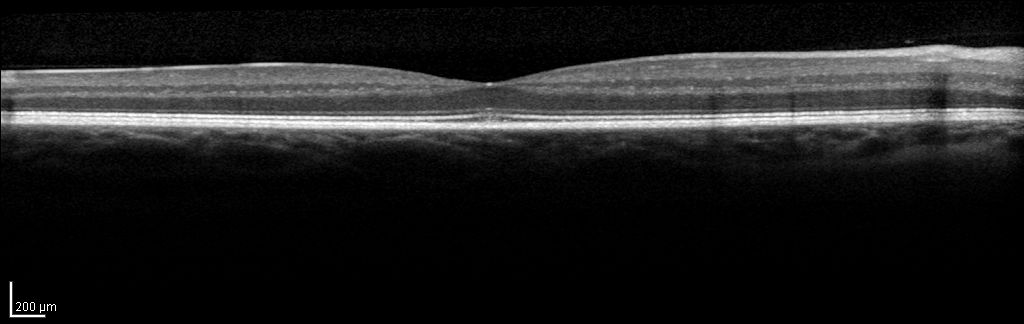
<scan>
  <modality>spectral-domain optical coherence tomography (SD-OCT) of the macula</modality>
  <subject>
    <sex>female</sex>
    <age>48</age>
    <eye>right eye</eye>
  </subject>
  <cohort>non-diabetic control</cohort>
  <etdrs_thickness_um>
    <central>324</central>
    <inner_temporal>360</inner_temporal>
    <inner_nasal>392</inner_nasal>
    <inner_superior>385</inner_superior>
    <inner_inferior>376</inner_inferior>
    <outer_temporal>312</outer_temporal>
    <outer_nasal>418</outer_nasal>
    <outer_superior>358</outer_superior>
    <outer_inferior>343</outer_inferior>
  </etdrs_thickness_um>
</scan>